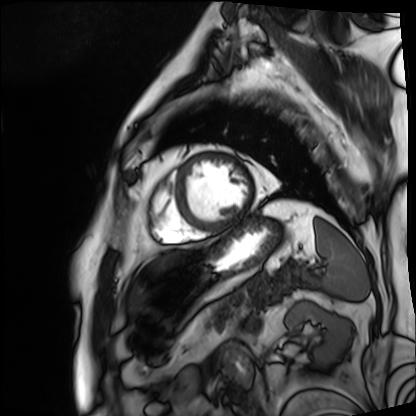
Summary:
Cardiac MRI. Subject group: patient.